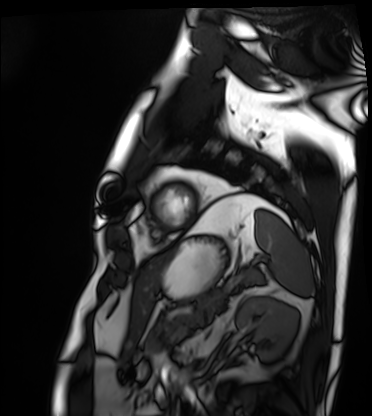
Q: What kind of scan is this?
A: Cardiac MRI.
Subject group: patient.